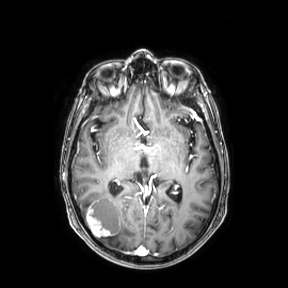
3 Tesla brain MRI. Series: axial. Study: ring-enhancing brain masses.